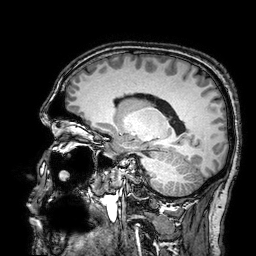
Case summary: 3 Tesla brain MRI. Study: ring-enhancing brain masses.